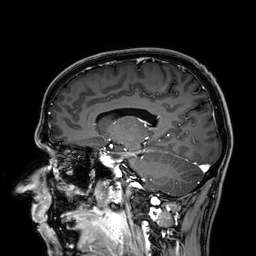
* modality — 3 Tesla brain MRI
* series — 3D T1-weighted
* study — ring-enhancing brain masses